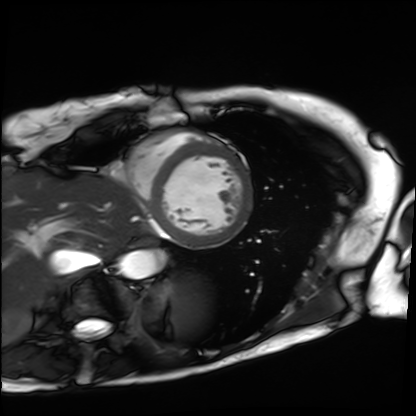
Case:
* modality: cardiac MRI
* subject group: patient